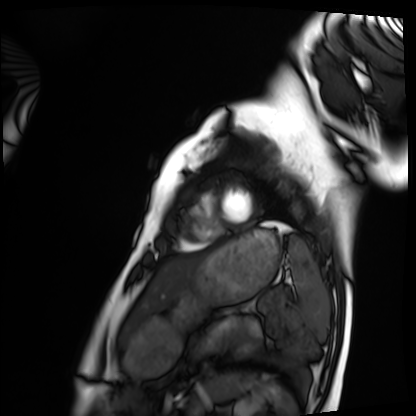
modality: cardiac MRI | subject group: healthy volunteer.